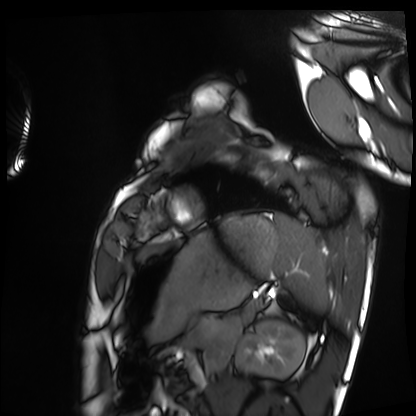
modality: cardiac MRI | subject group: healthy volunteer.